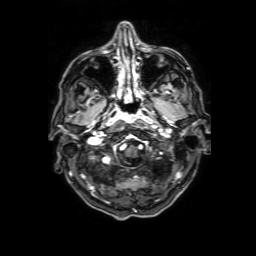
3 Tesla brain MRI. Series: 3D T1-weighted with SENSE. Study: ring-enhancing brain masses.